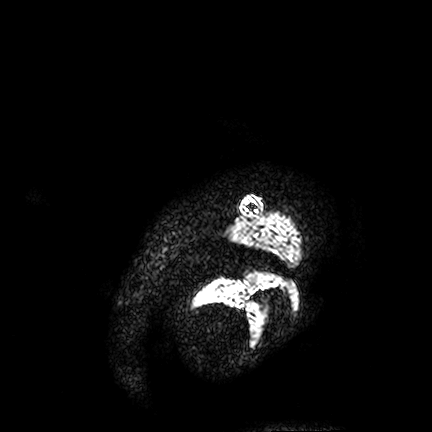
Summary:
3 Tesla brain MRI. Series: FLAIR VISTA. Study: ring-enhancing brain masses.